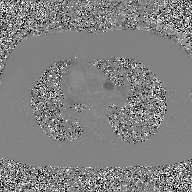
Q: What kind of scan is this?
A: 2D phase-contrast cine MRI of the ascending aorta, GAN super-resolution reconstruction.